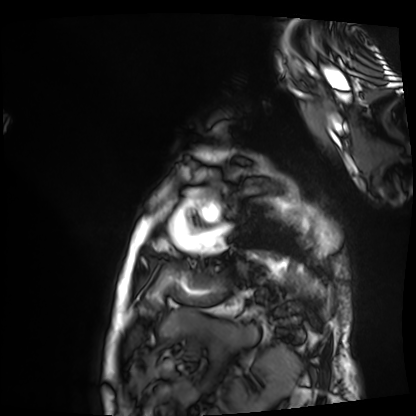
– modality: cardiac MRI
– subject group: patient